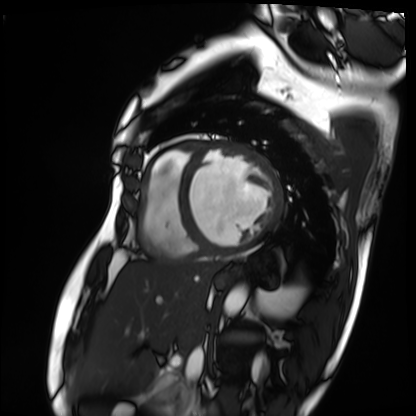
{"modality": "cardiac MRI", "cohort": "patient"}